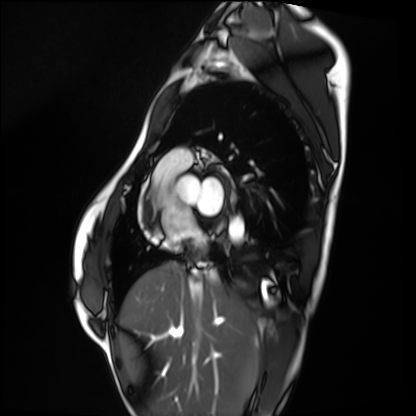
Cardiac MRI.
Subject group: healthy volunteer.